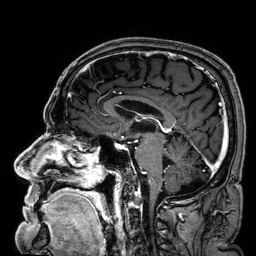
| field | value |
|---|---|
| modality | 3 Tesla brain MRI |
| series | 3D T1-weighted |
| study | ring-enhancing brain masses |